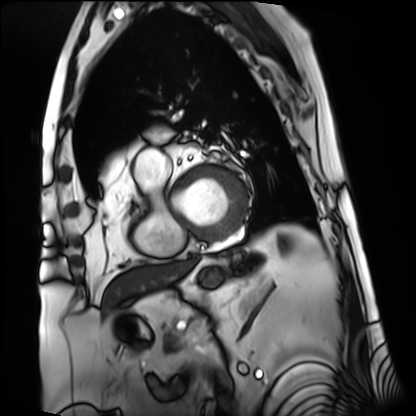
Cardiac MRI. Subject group: patient.